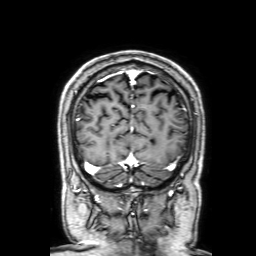
Summary:
3 Tesla brain MRI. Series: 3D T1-weighted with SENSE. Study: ring-enhancing brain masses.